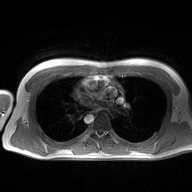
* modality · 2D phase-contrast cine MRI of the ascending aorta